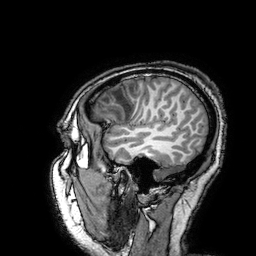
Clinical context: 3 Tesla brain MRI. Series: 3D T1-weighted turbo field echo with SENSE. Study: ring-enhancing brain masses.